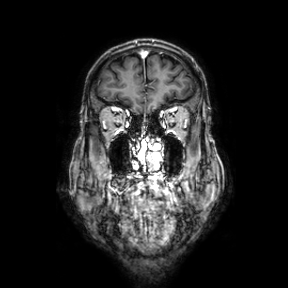
Case:
* modality: 3 Tesla brain MRI
* series: coronal
* study: ring-enhancing brain masses